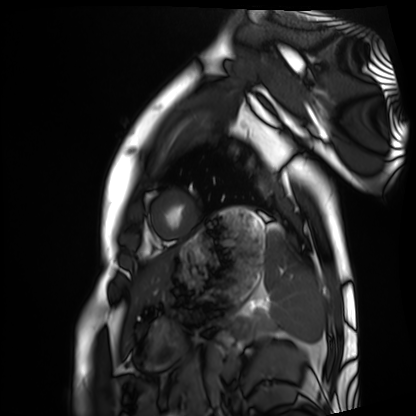
Cardiac MRI.
Subject group: healthy volunteer.